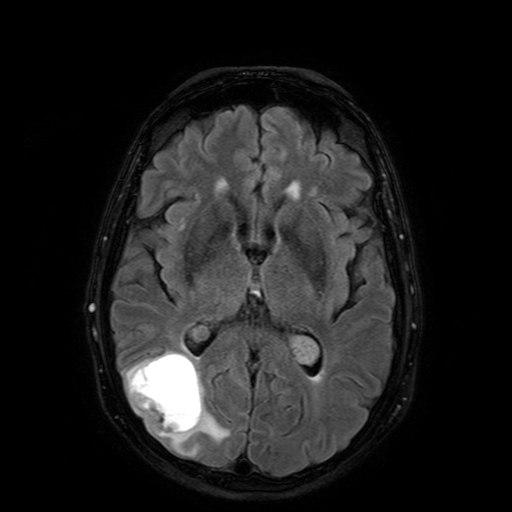
3 Tesla brain MRI. Series: FLAIR with SPAIR. Study: ring-enhancing brain masses.